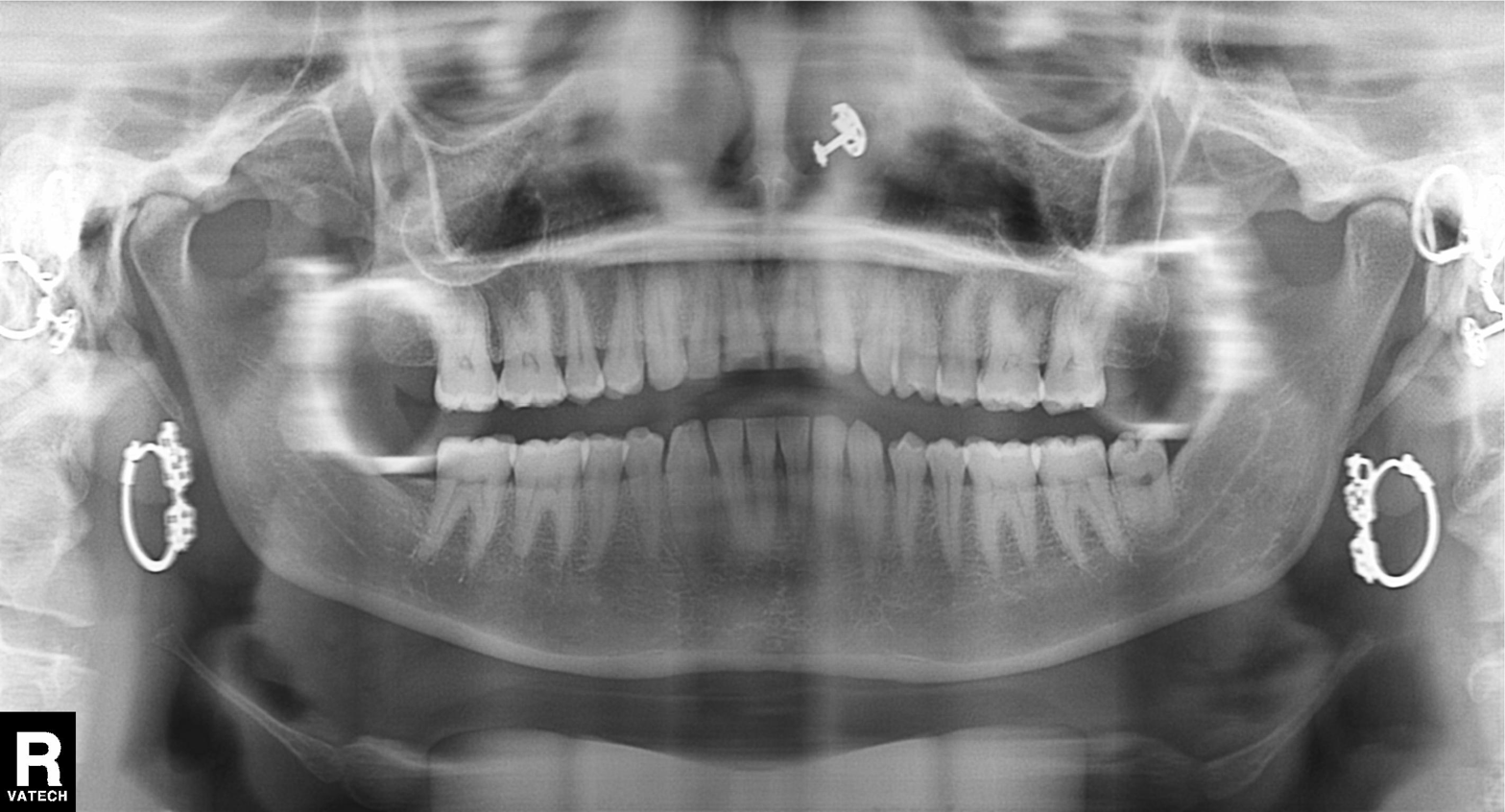
Summary: Panoramic dental radiograph (orthopantomogram).
Impression: Tooth impaction.